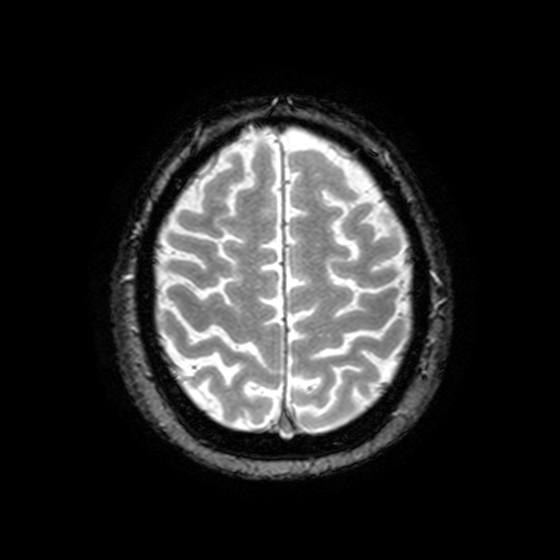
<case>
<modality>
  <type>brain MRI</type>
  <field_strength>3T</field_strength>
</modality>
<series>T2-weighted fast field echo with SENSE</series>
<study_topic>ring-enhancing brain masses</study_topic>
</case>